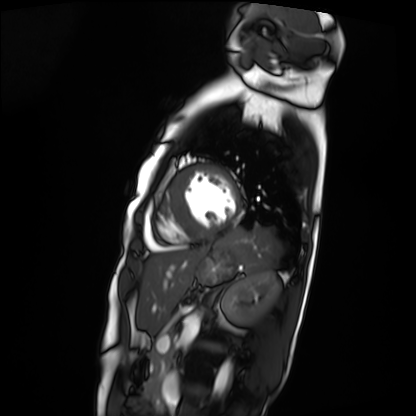
Cardiac MRI.
Subject group: patient.